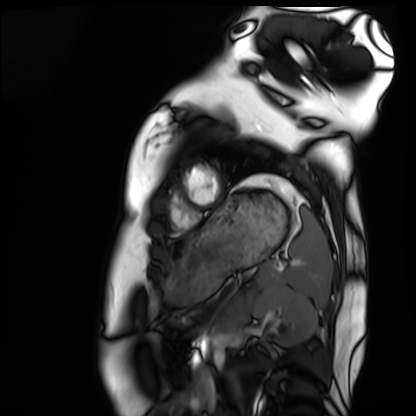
Case:
* modality · cardiac MRI
* subject group · healthy volunteer